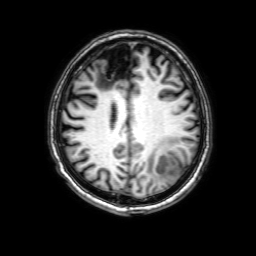
Clinical context: 3 Tesla brain MRI. Series: 3D T1-weighted with SENSE. Study: ring-enhancing brain masses.